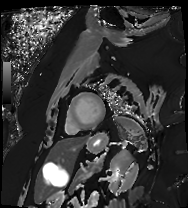
Cardiac MRI. Subject group: patient.